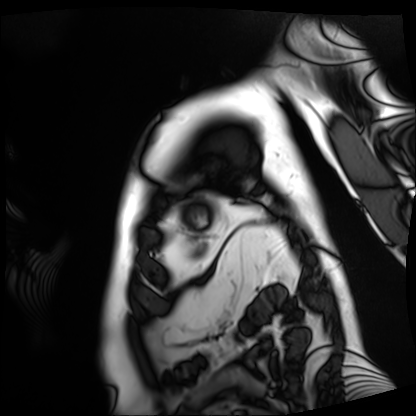
modality = cardiac MRI; subject group = patient.